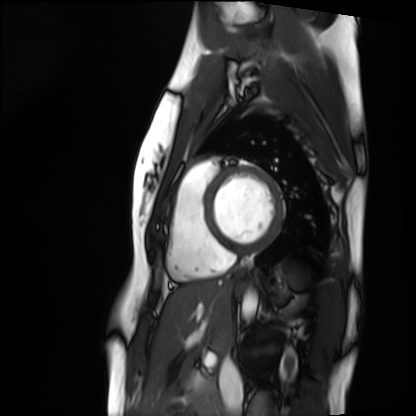
Cardiac MRI.
Subject group: healthy volunteer.